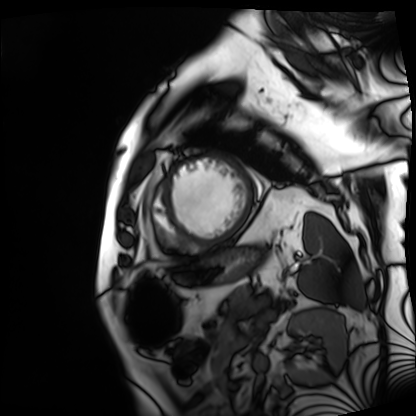
– modality · cardiac MRI
– subject group · patient